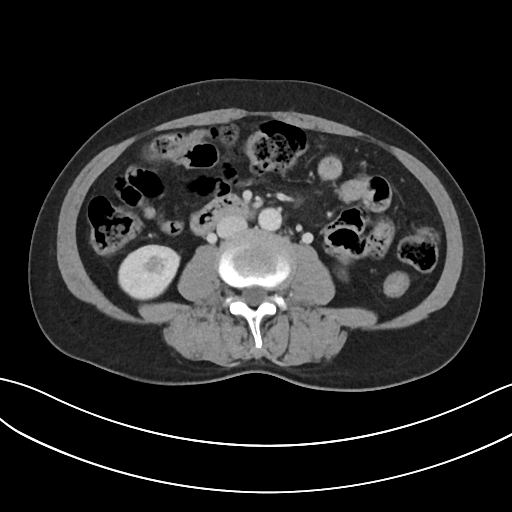
Multiphase abdominal CT, liver, portal venous phase. Patient: female, age 54. History: prior chemotherapy.